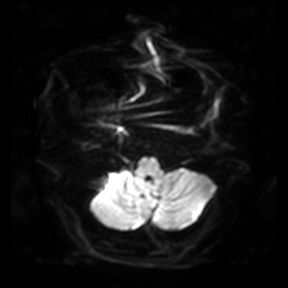
Q: What kind of scan is this?
A: 3 Tesla brain MRI.
Study: ring-enhancing brain masses.